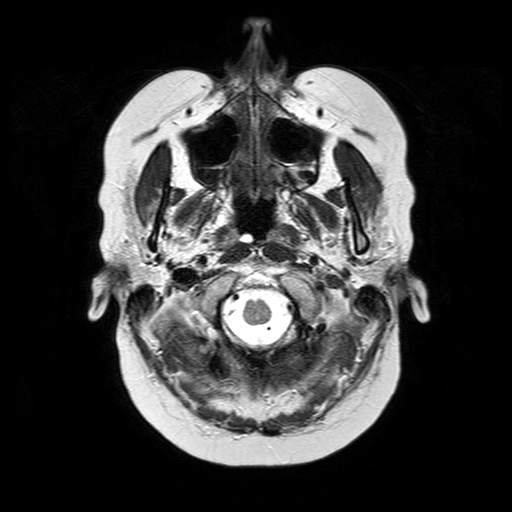
3 Tesla brain MRI.
Series: T2-weighted turbo spin echo.
Study: ring-enhancing brain masses.